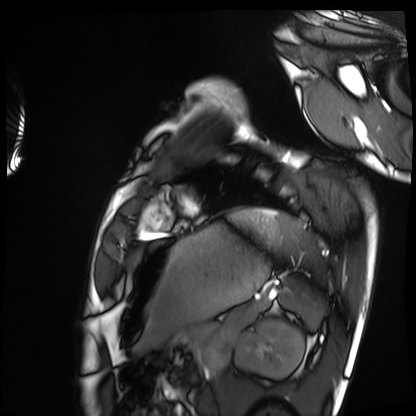
modality = cardiac MRI
subject group = healthy volunteer